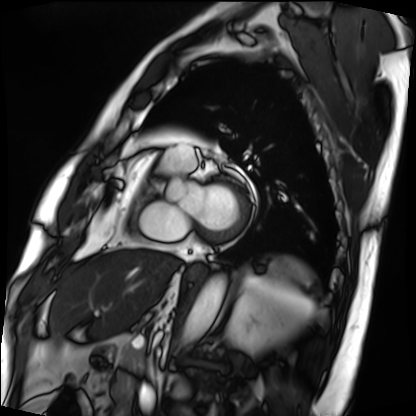
<study>
  <modality>cardiac MRI</modality>
  <cohort>patient</cohort>
</study>